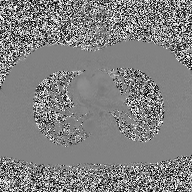
<study>
  <modality>
    <type>2D phase-contrast cine MRI</type>
    <region>ascending aorta</region>
    <reconstruction>high-resolution GRAPPA acquisition</reconstruction>
  </modality>
</study>